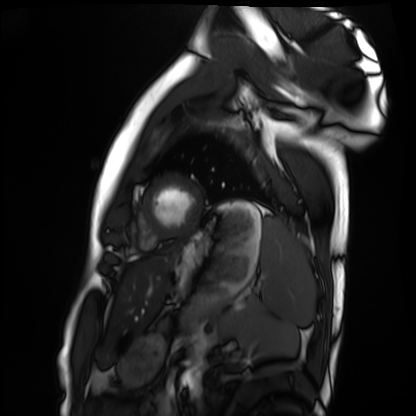
modality: cardiac MRI
subject group: healthy volunteer